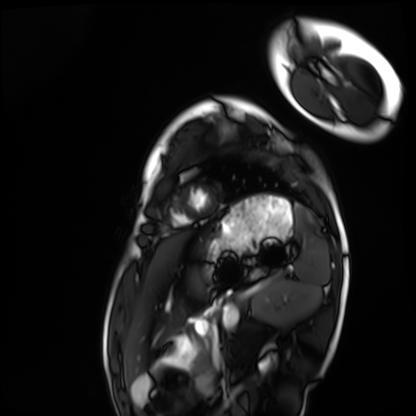
modality = cardiac MRI | subject group = healthy volunteer.